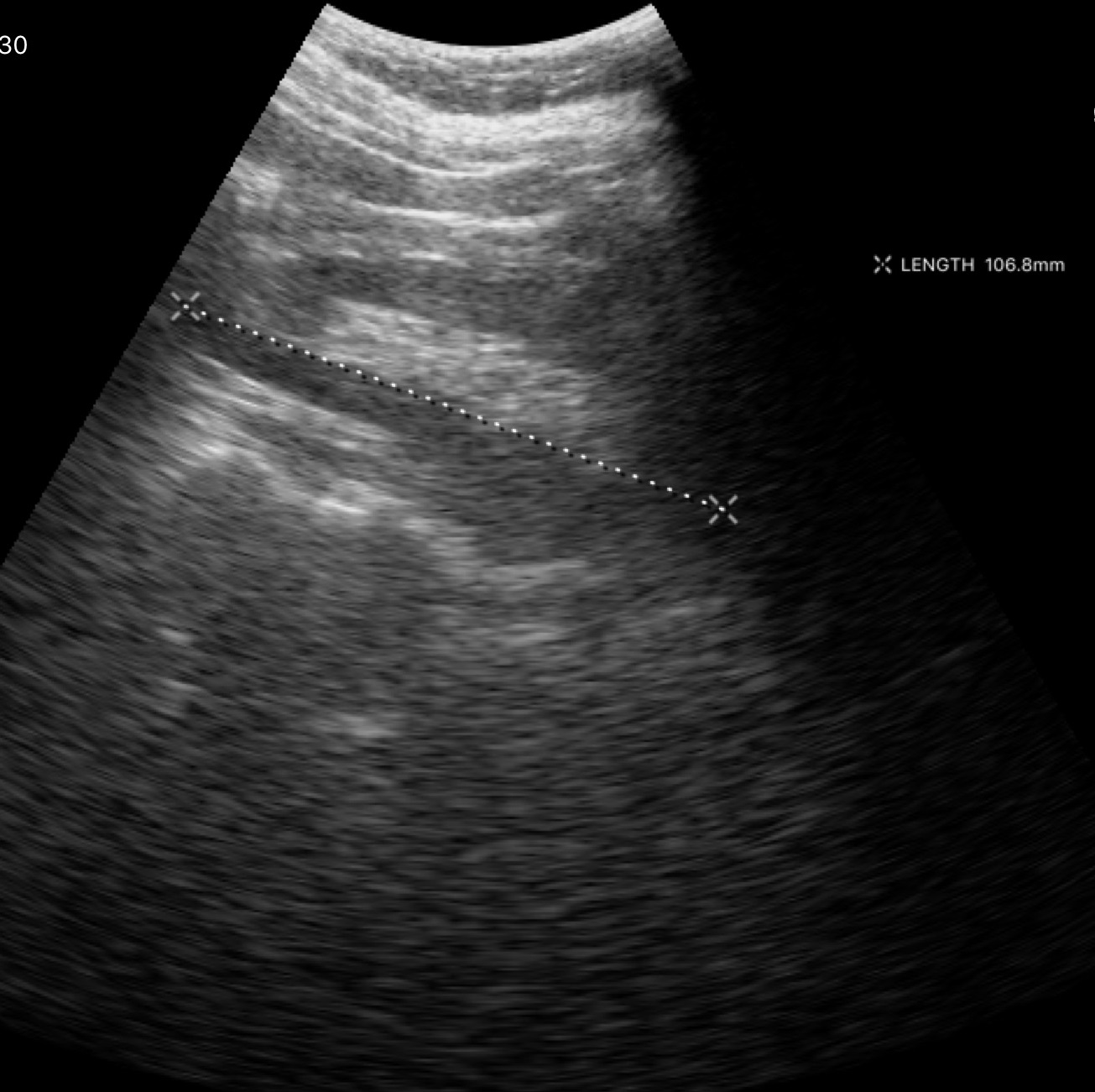
Summary:
Genitourinary ultrasound.